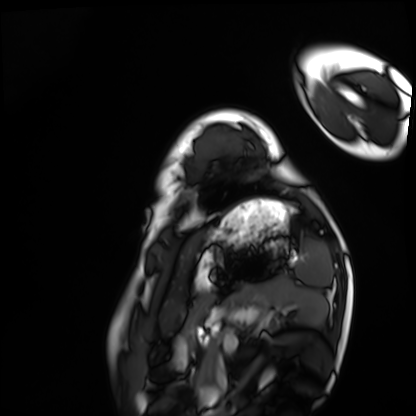
modality: cardiac MRI | subject group: healthy volunteer.